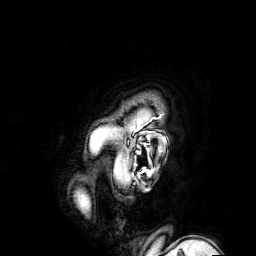
modality: 3 Tesla brain MRI
series: 3D T1-weighted turbo field echo with SENSE
study: ring-enhancing brain masses